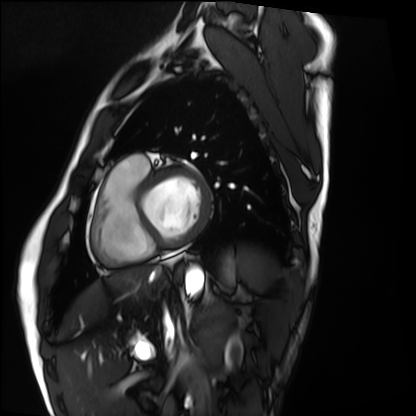
Case summary:
Cardiac MRI. Subject group: healthy volunteer.